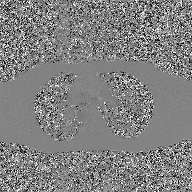
modality=2D phase-contrast cine MRI of the ascending aorta, GAN super-resolution reconstruction